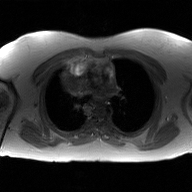
* modality: 2D phase-contrast cine MRI of the ascending aorta, GAN super-resolution reconstruction